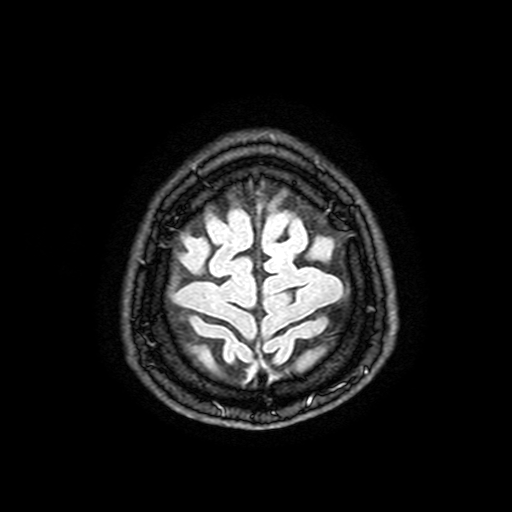
3 Tesla brain MRI. Series: FLAIR with SPAIR, 3 mm. Study: ring-enhancing brain masses.